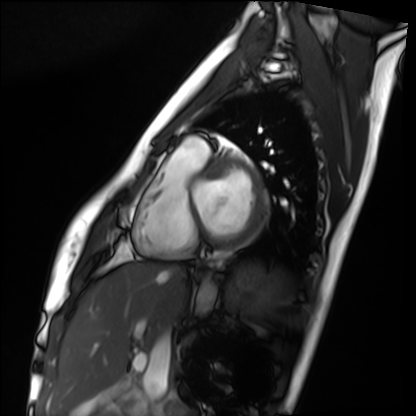
Case summary:
Cardiac MRI. Subject group: healthy volunteer.